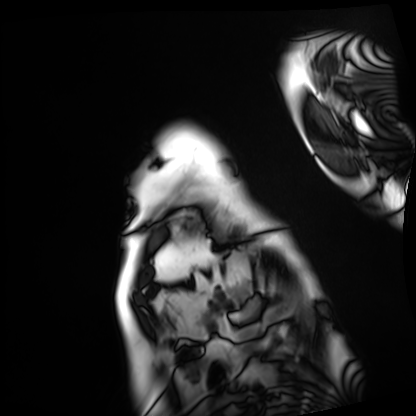
Q: What kind of scan is this?
A: Cardiac MRI.
Subject group: patient.